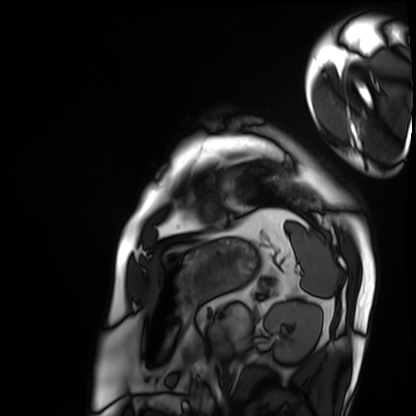
Q: What kind of scan is this?
A: Cardiac MRI.
Subject group: patient.